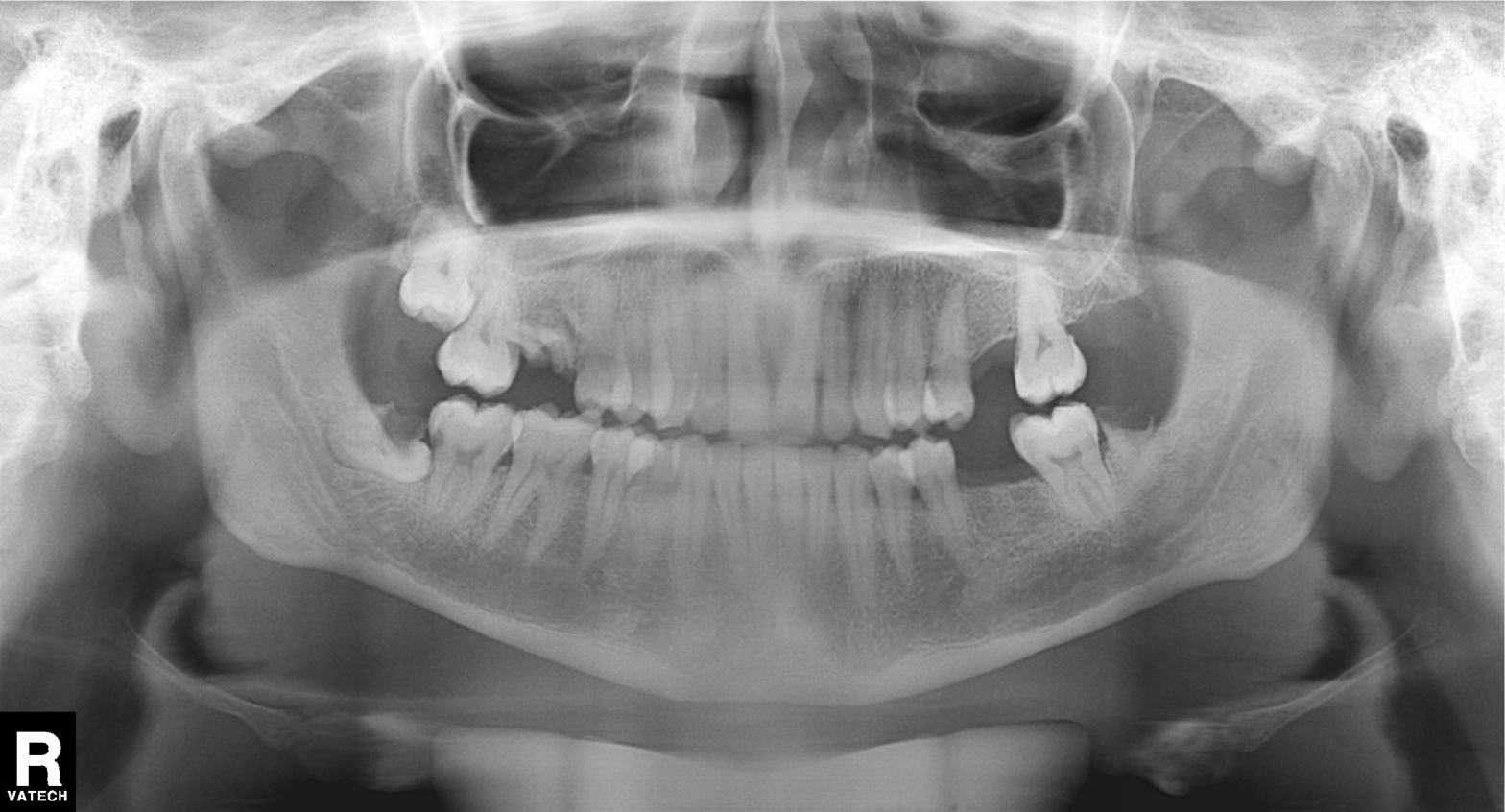
  modality: panoramic dental radiograph (orthopantomogram)
  finding: alveolar bone loss